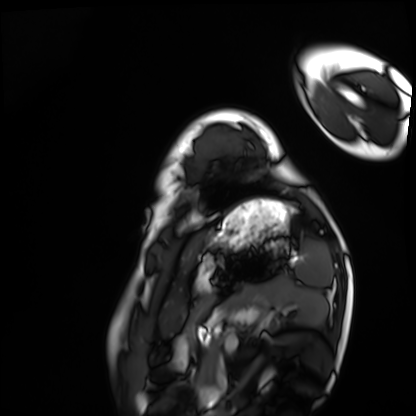
Cardiac MRI. Subject group: healthy volunteer.